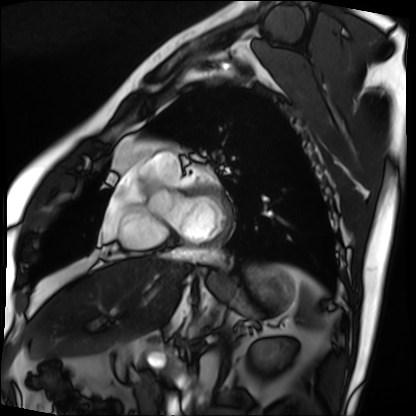
Q: What kind of scan is this?
A: Cardiac MRI.
Subject group: patient.